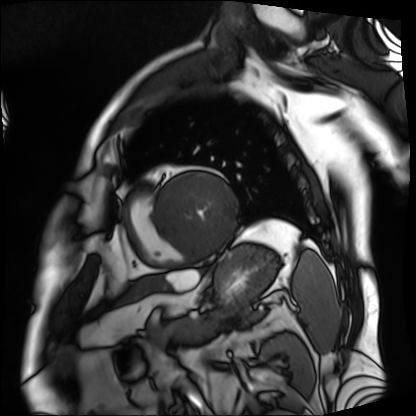
Case:
• modality — cardiac MRI
• subject group — patient